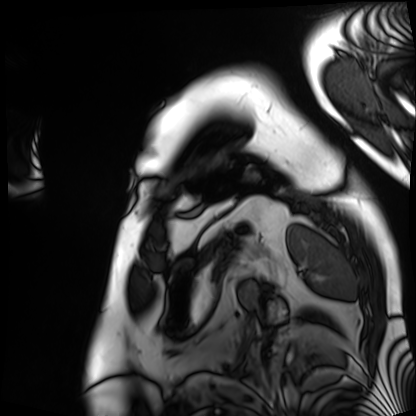
modality: cardiac MRI | subject group: patient.